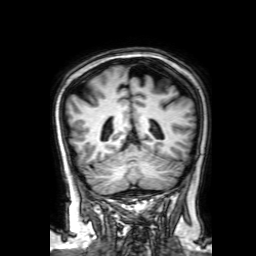
3 Tesla brain MRI. Series: 3D T1-weighted with SENSE. Study: ring-enhancing brain masses.